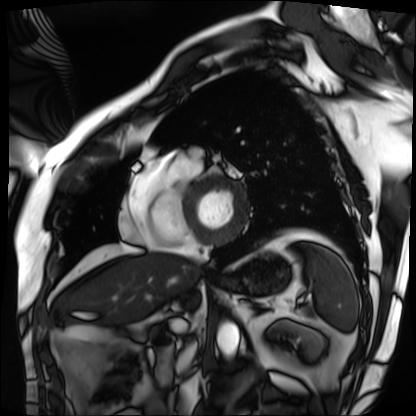
Cardiac MRI. Subject group: patient.